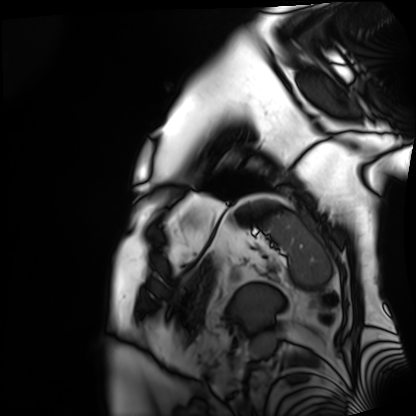
modality: cardiac MRI
subject group: patient